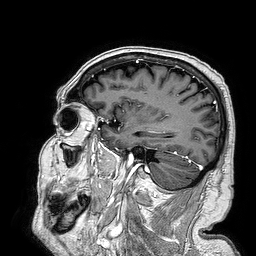
3 Tesla brain MRI. Series: 3D T1-weighted turbo field echo. Study: ring-enhancing brain masses.